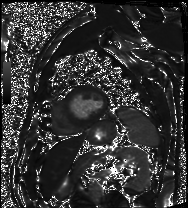
Cardiac MRI. Subject group: patient.